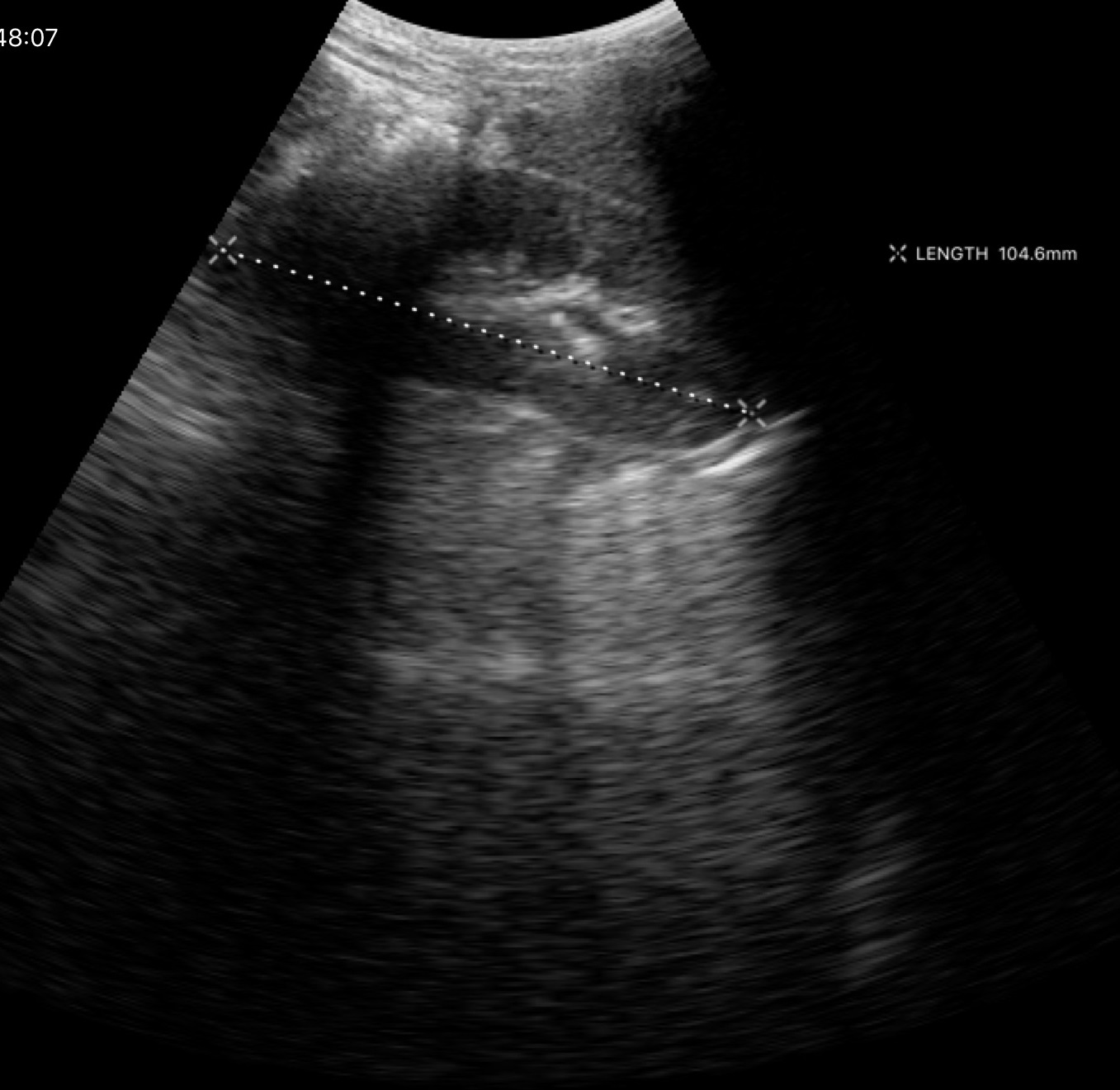
* modality · genitourinary ultrasound